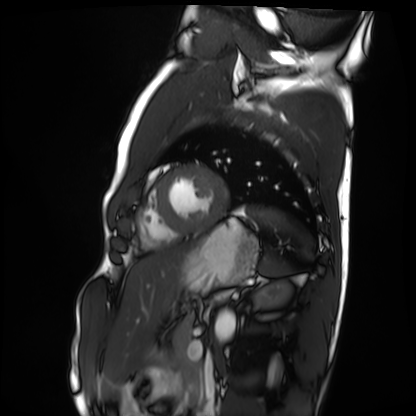
• modality — cardiac MRI
• subject group — healthy volunteer